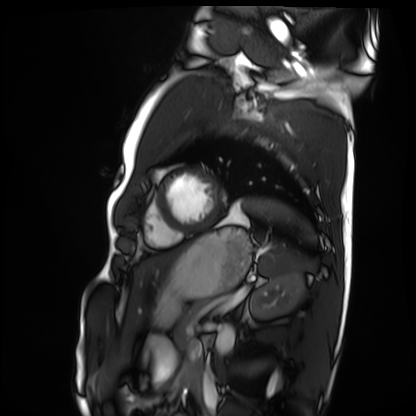
modality: cardiac MRI | subject group: healthy volunteer.